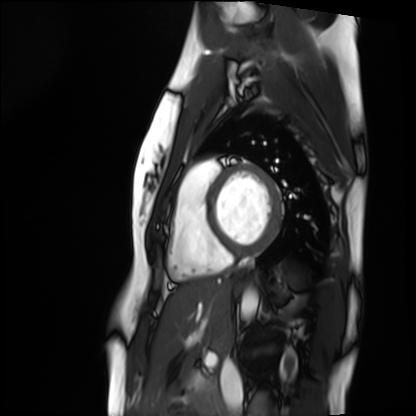
Case summary:
Cardiac MRI. Subject group: healthy volunteer.